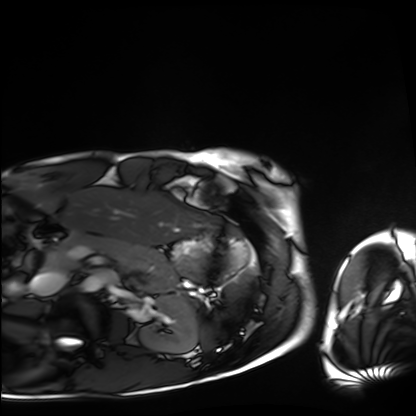
| field | value |
|---|---|
| modality | cardiac MRI |
| subject group | healthy volunteer |